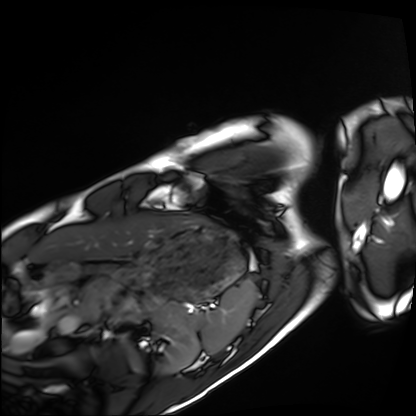
Q: What kind of scan is this?
A: Cardiac MRI.
Subject group: healthy volunteer.